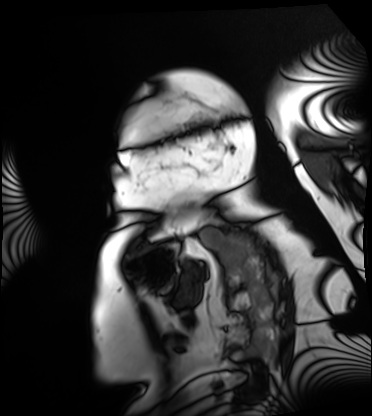
Cardiac MRI. Subject group: patient.